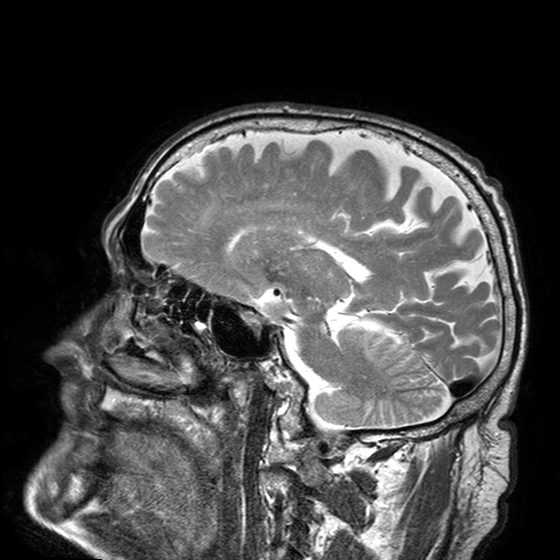
– modality · 3 Tesla brain MRI
– series · T2-weighted turbo spin echo with SENSE
– study · ring-enhancing brain masses